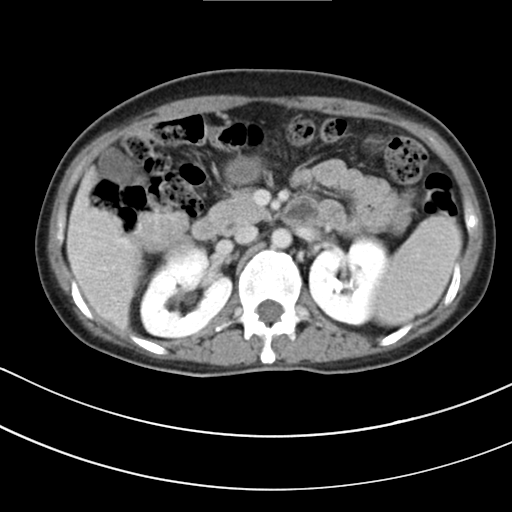
Case:
- modality · multiphase abdominal CT, liver, delayed phase
- patient · female, age 42